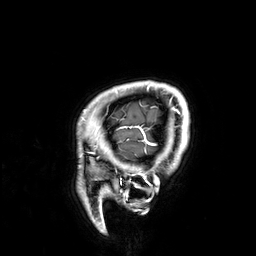
<scan>
<modality>
  <type>brain MRI</type>
  <field_strength>3T</field_strength>
</modality>
<study_topic>ring-enhancing brain masses</study_topic>
</scan>